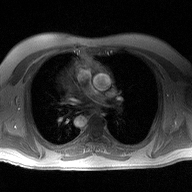
Clinical context: 2D phase-contrast cine MRI of the ascending aorta, high-resolution GRAPPA acquisition.